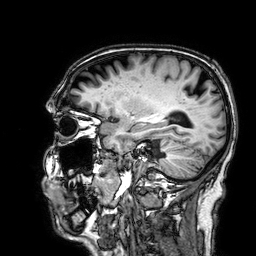
Summary:
3 Tesla brain MRI. Series: 3D T1-weighted. Study: ring-enhancing brain masses.